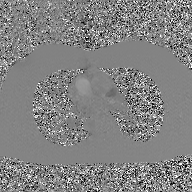
modality: 2D phase-contrast cine MRI of the ascending aorta, GAN super-resolution reconstruction.